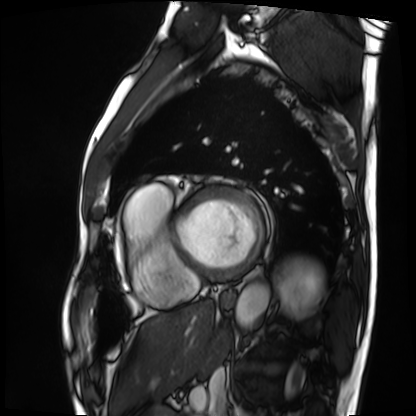
Q: What kind of scan is this?
A: Cardiac MRI.
Subject group: patient.